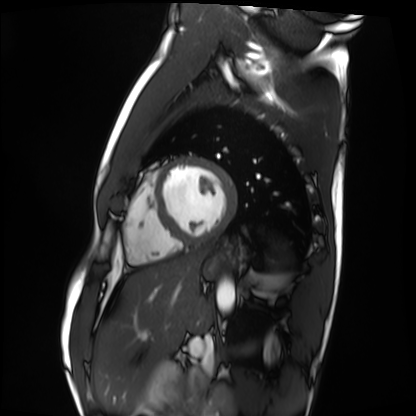
Clinical context:
Cardiac MRI. Subject group: healthy volunteer.